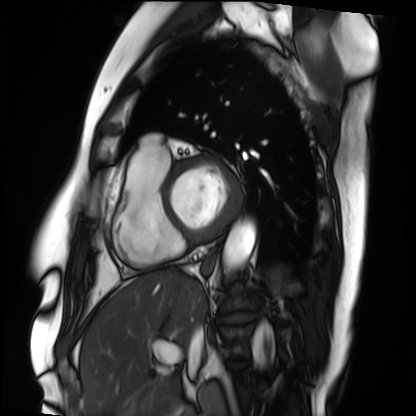
Summary:
Cardiac MRI. Subject group: patient.